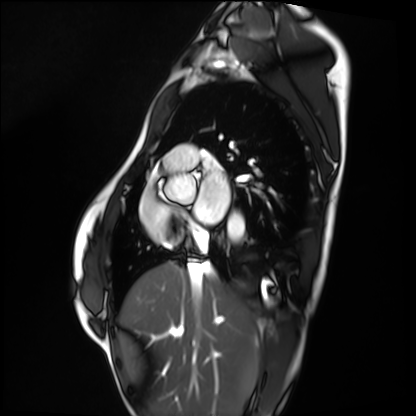
Summary: Cardiac MRI. Subject group: healthy volunteer.